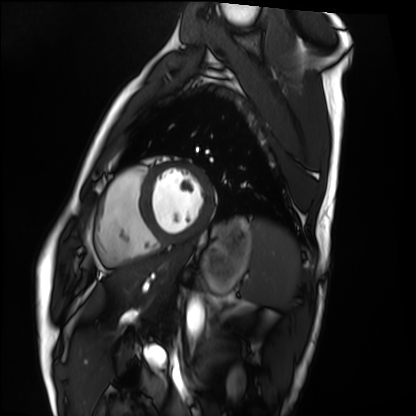
Cardiac MRI. Subject group: healthy volunteer.